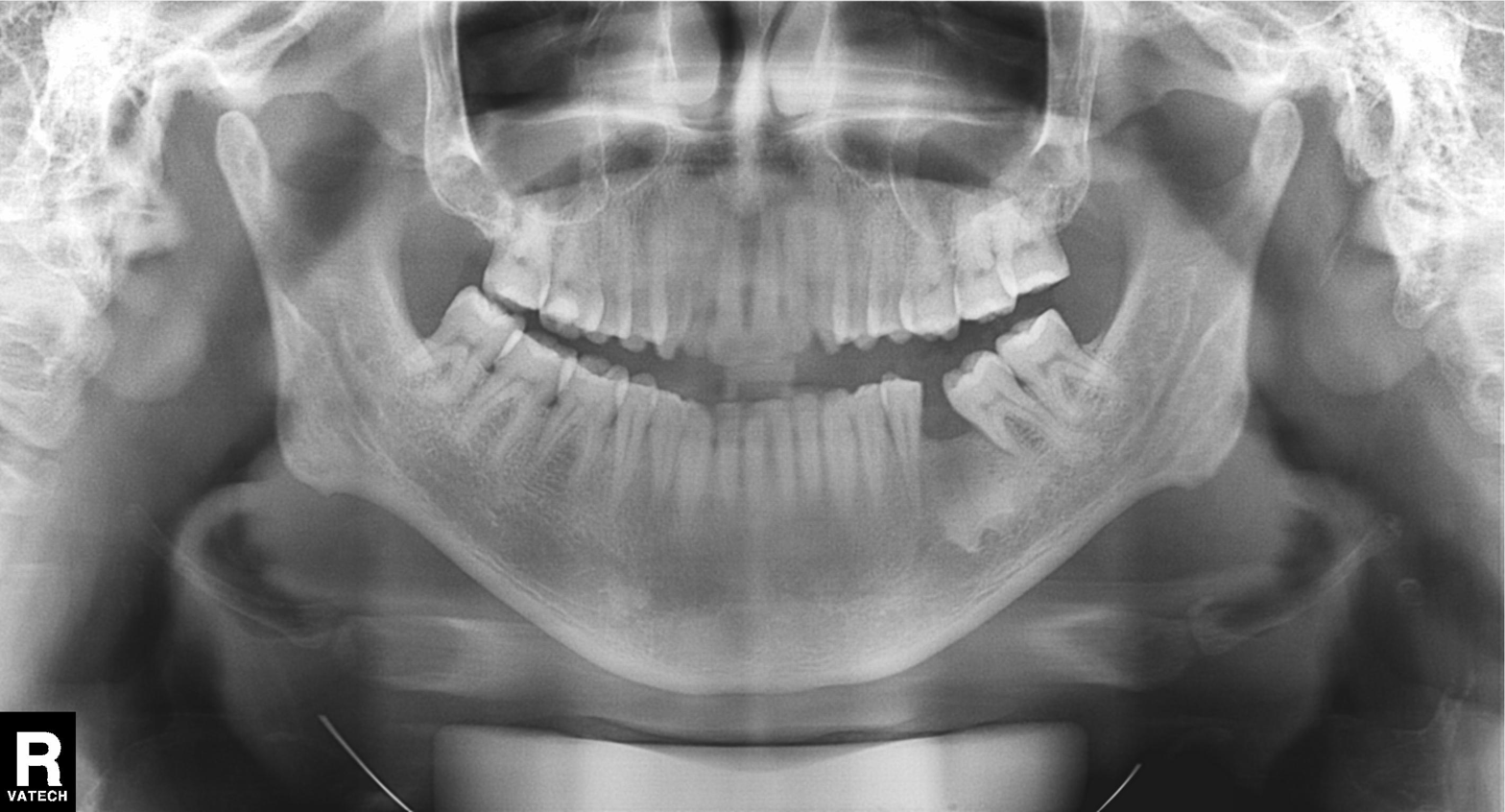
Case:
* modality — panoramic dental radiograph (orthopantomogram)
* finding — dental caries (cavities)